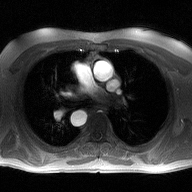
2D phase-contrast cine MRI of the ascending aorta, high-resolution GRAPPA acquisition.